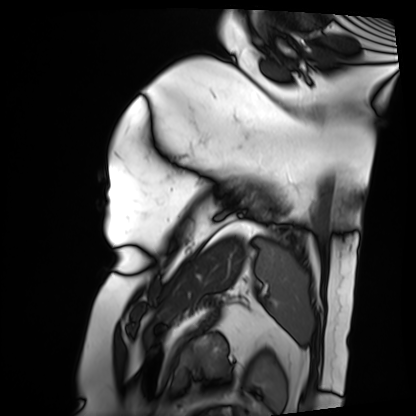
Q: What kind of scan is this?
A: Cardiac MRI.
Subject group: patient.